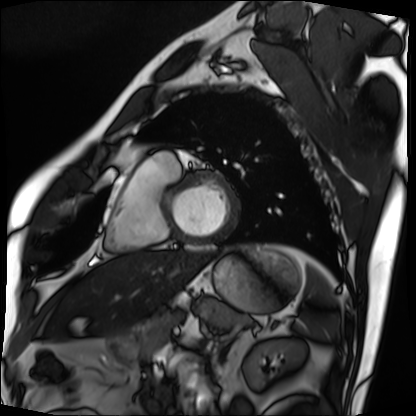
Cardiac MRI. Subject group: patient.